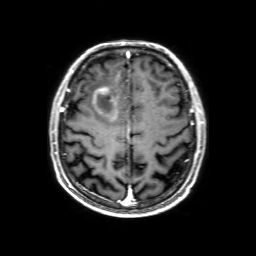
3 Tesla brain MRI.
Series: 3D T1-weighted with SENSE.
Study: ring-enhancing brain masses.